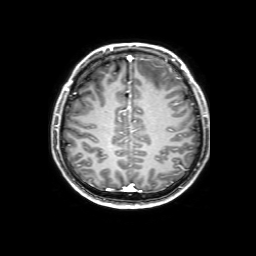
<scan>
<modality>
  <type>brain MRI</type>
  <field_strength>3T</field_strength>
</modality>
<series>3D T1-weighted with SENSE</series>
<study_topic>ring-enhancing brain masses</study_topic>
</scan>